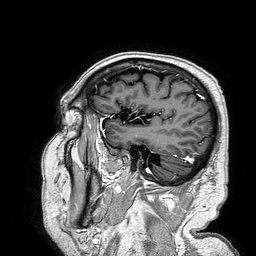
modality — 3 Tesla brain MRI
study — ring-enhancing brain masses